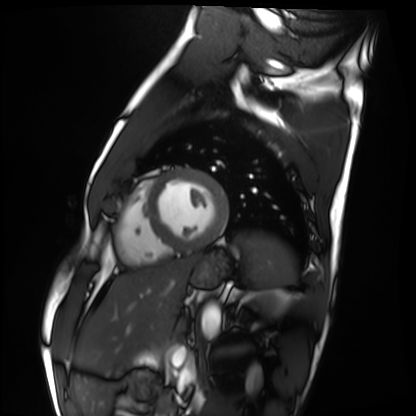
Clinical context:
Cardiac MRI. Subject group: healthy volunteer.